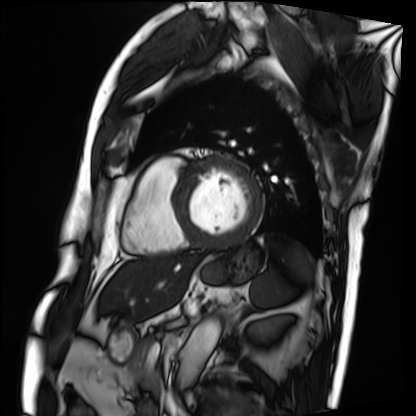
– modality · cardiac MRI
– subject group · patient